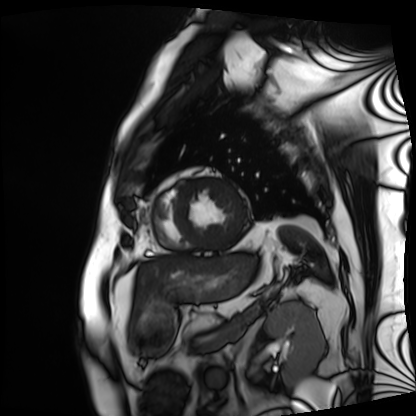
Cardiac MRI. Subject group: patient.